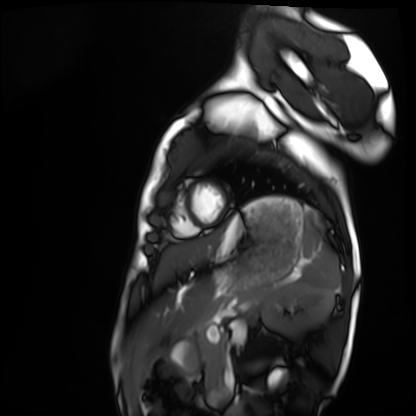
Cardiac MRI. Subject group: healthy volunteer.